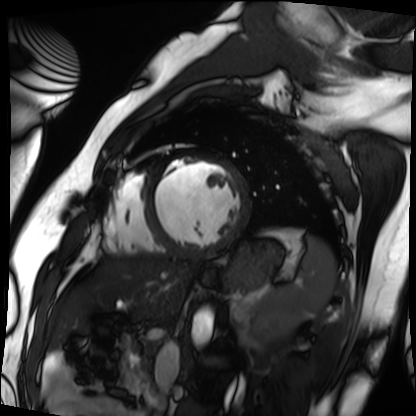
Q: What kind of scan is this?
A: Cardiac MRI.
Subject group: patient.